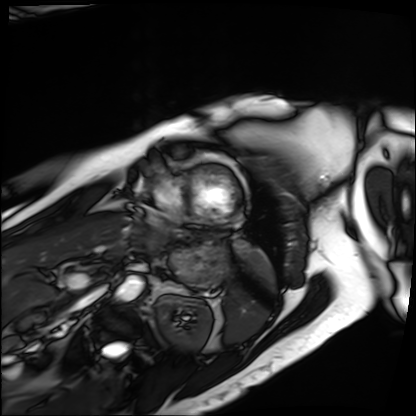
- modality — cardiac MRI
- subject group — patient